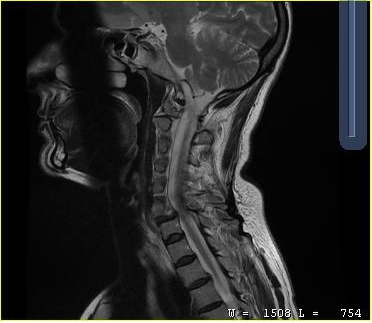
Clinical context:
MRI of the cervical spine. Study: cervical spondylosis.